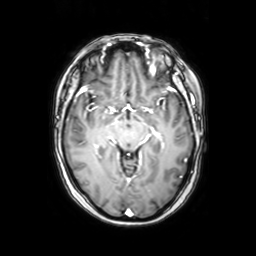
| field | value |
|---|---|
| modality | 3 Tesla brain MRI |
| series | axial with contrast |
| study | ring-enhancing brain masses |